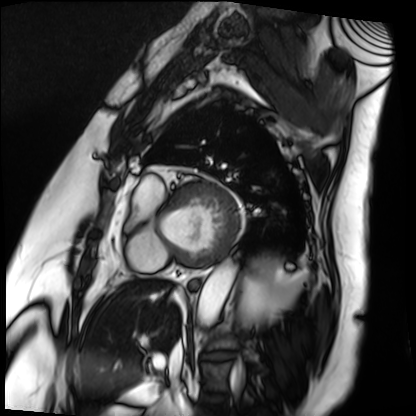
Cardiac MRI.
Subject group: patient.